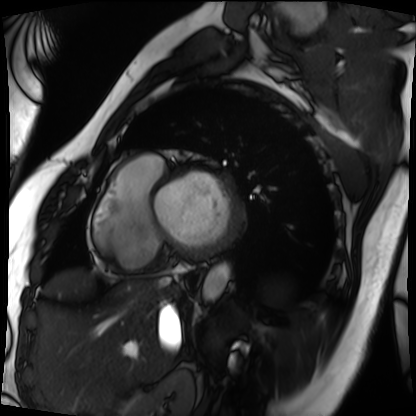
{
  "modality": "cardiac MRI",
  "cohort": "patient"
}